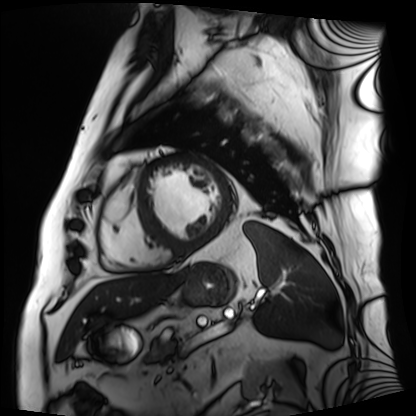
Q: What kind of scan is this?
A: Cardiac MRI.
Subject group: patient.